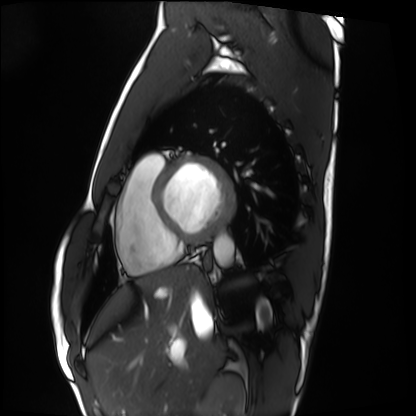
Cardiac MRI. Subject group: healthy volunteer.